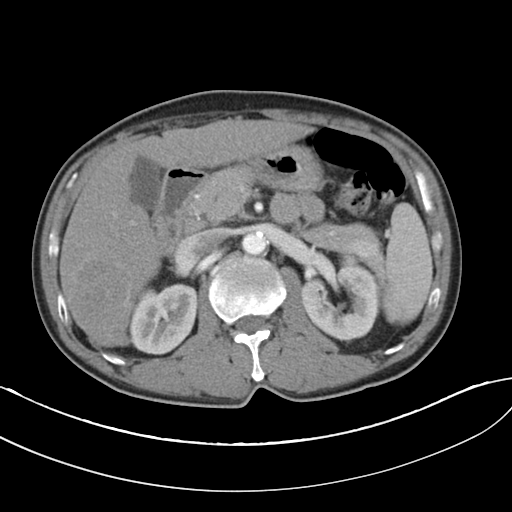
Multiphase abdominal CT, liver, arterial phase.
Patient: male, age 52.
History: viral hepatitis.